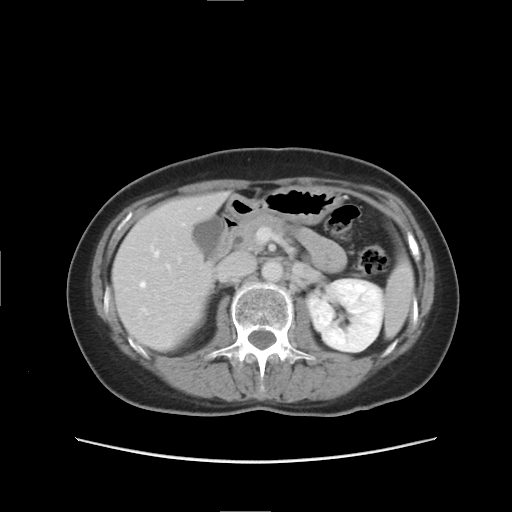
Case:
* modality — multiphase abdominal CT, liver, delayed phase
* patient — female, age 51